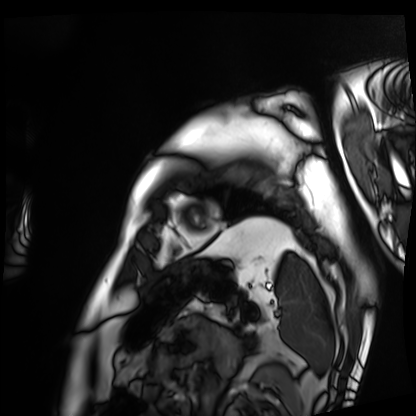
modality = cardiac MRI, subject group = patient.